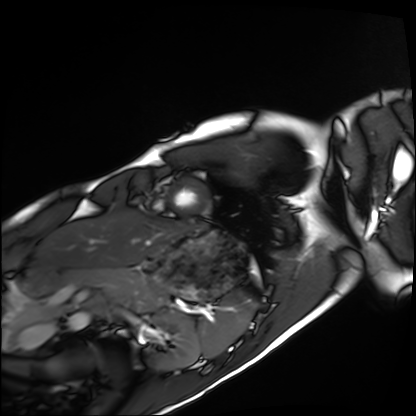
modality: cardiac MRI; subject group: healthy volunteer.